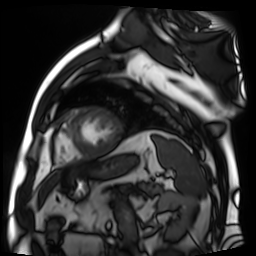
Q: What kind of scan is this?
A: Cardiac MR image of the myocardium.
Subject cohort: cardiac patient.